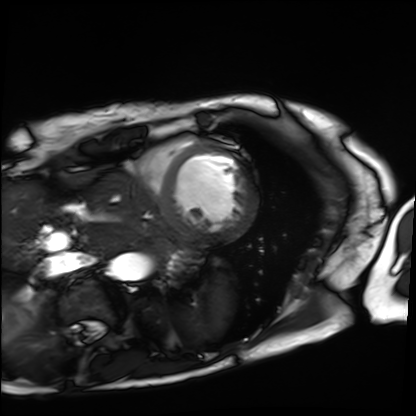
| field | value |
|---|---|
| modality | cardiac MRI |
| subject group | patient |